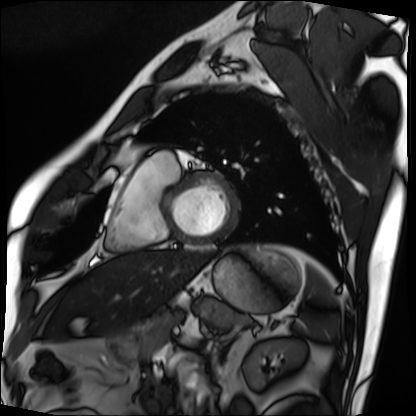
Cardiac MRI.
Subject group: patient.